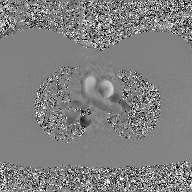
Q: What kind of scan is this?
A: 2D phase-contrast cine MRI of the ascending aorta, GAN super-resolution reconstruction.